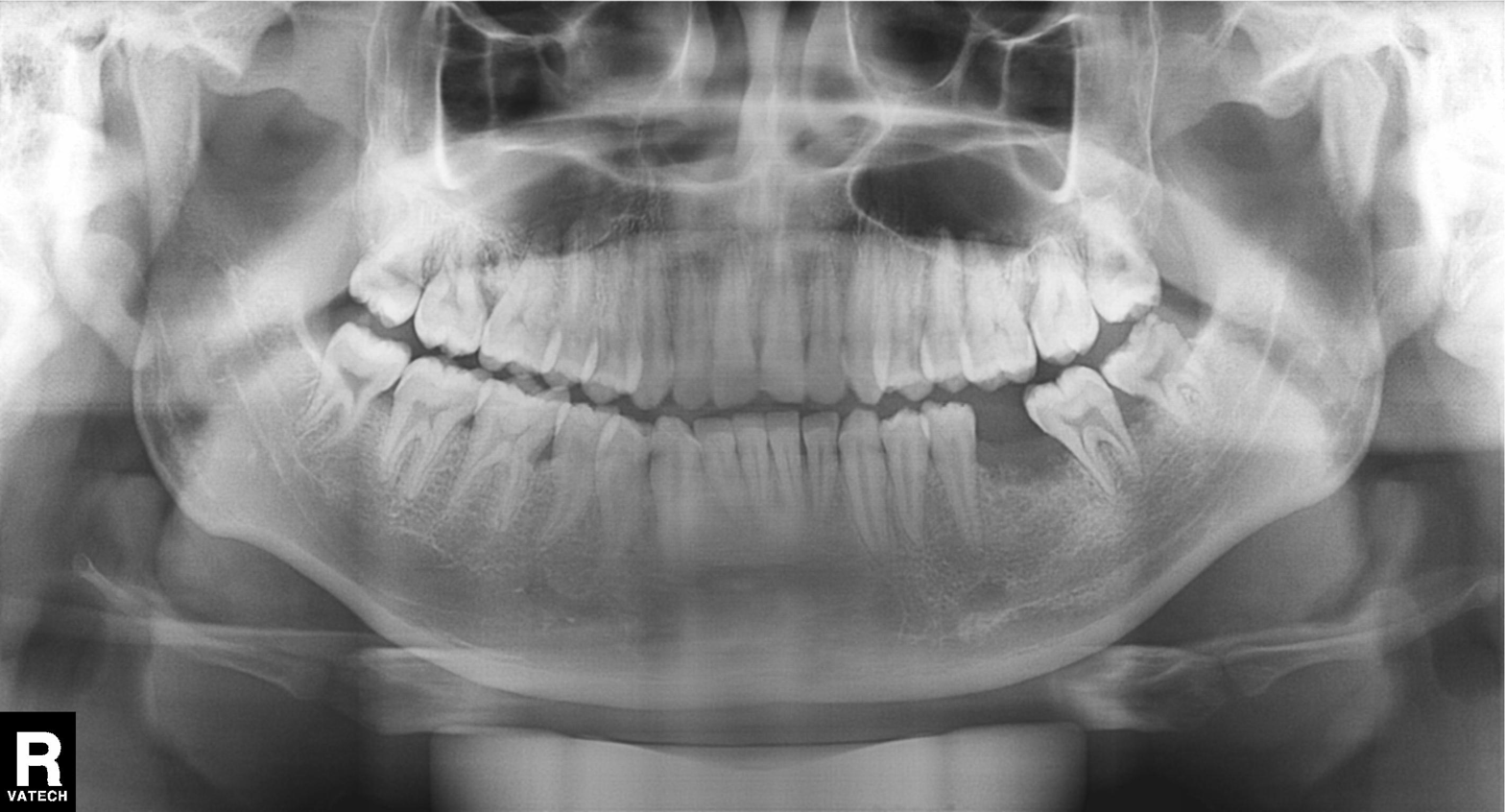
| field | value |
|---|---|
| modality | panoramic dental radiograph (orthopantomogram) |
| finding | alveolar bone loss |